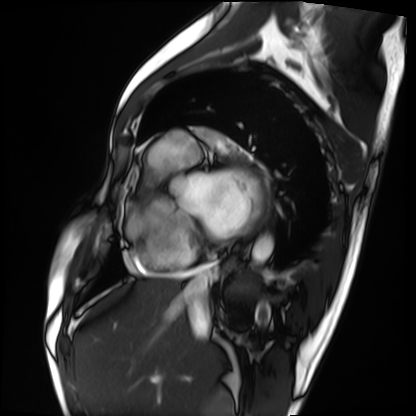
Q: What kind of scan is this?
A: Cardiac MRI.
Subject group: patient.